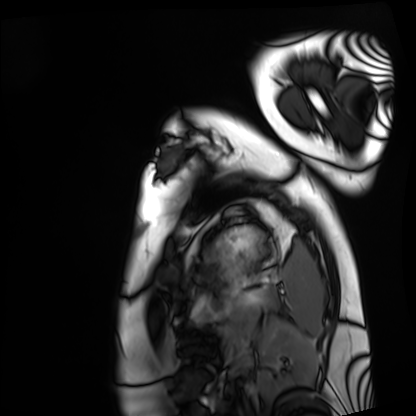
Cardiac MRI. Subject group: healthy volunteer.